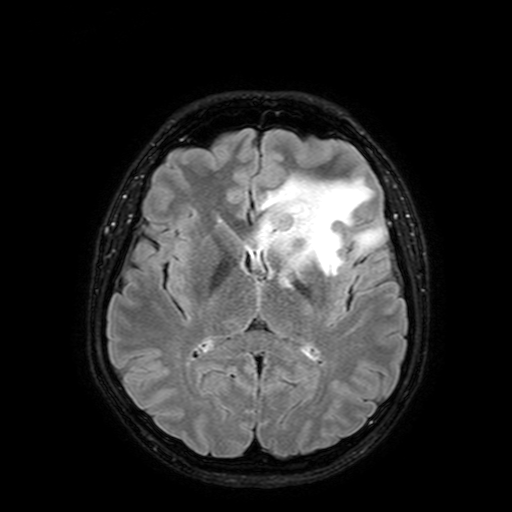
Case:
• modality · 3 Tesla brain MRI
• series · FLAIR with SPAIR, 3 mm
• study · ring-enhancing brain masses